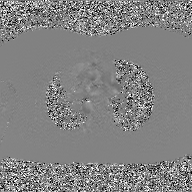
Q: What kind of scan is this?
A: 2D phase-contrast cine MRI of the ascending aorta, GAN super-resolution reconstruction.